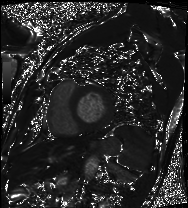
Summary:
Cardiac MRI. Subject group: patient.